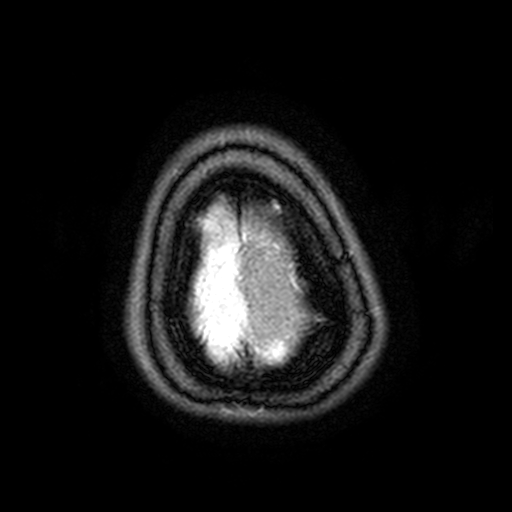
Case:
– modality: 3 Tesla brain MRI
– series: FLAIR with SPAIR, 3 mm
– study: ring-enhancing brain masses